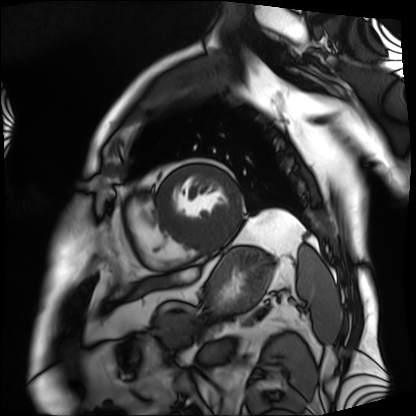
Q: What kind of scan is this?
A: Cardiac MRI.
Subject group: patient.